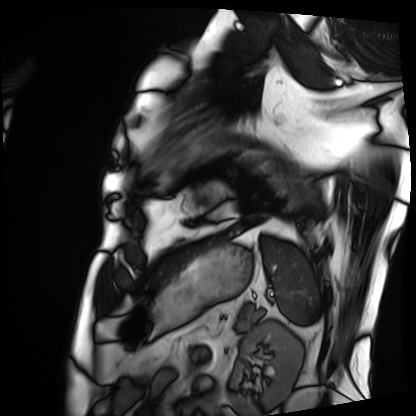
Cardiac MRI. Subject group: patient.